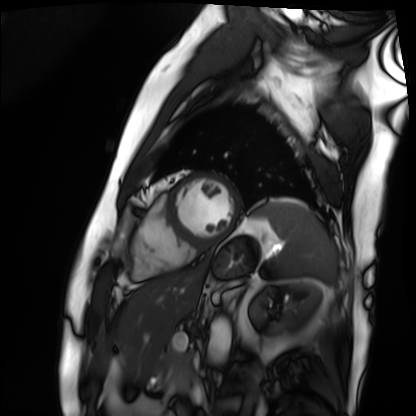
Cardiac MRI.
Subject group: patient.